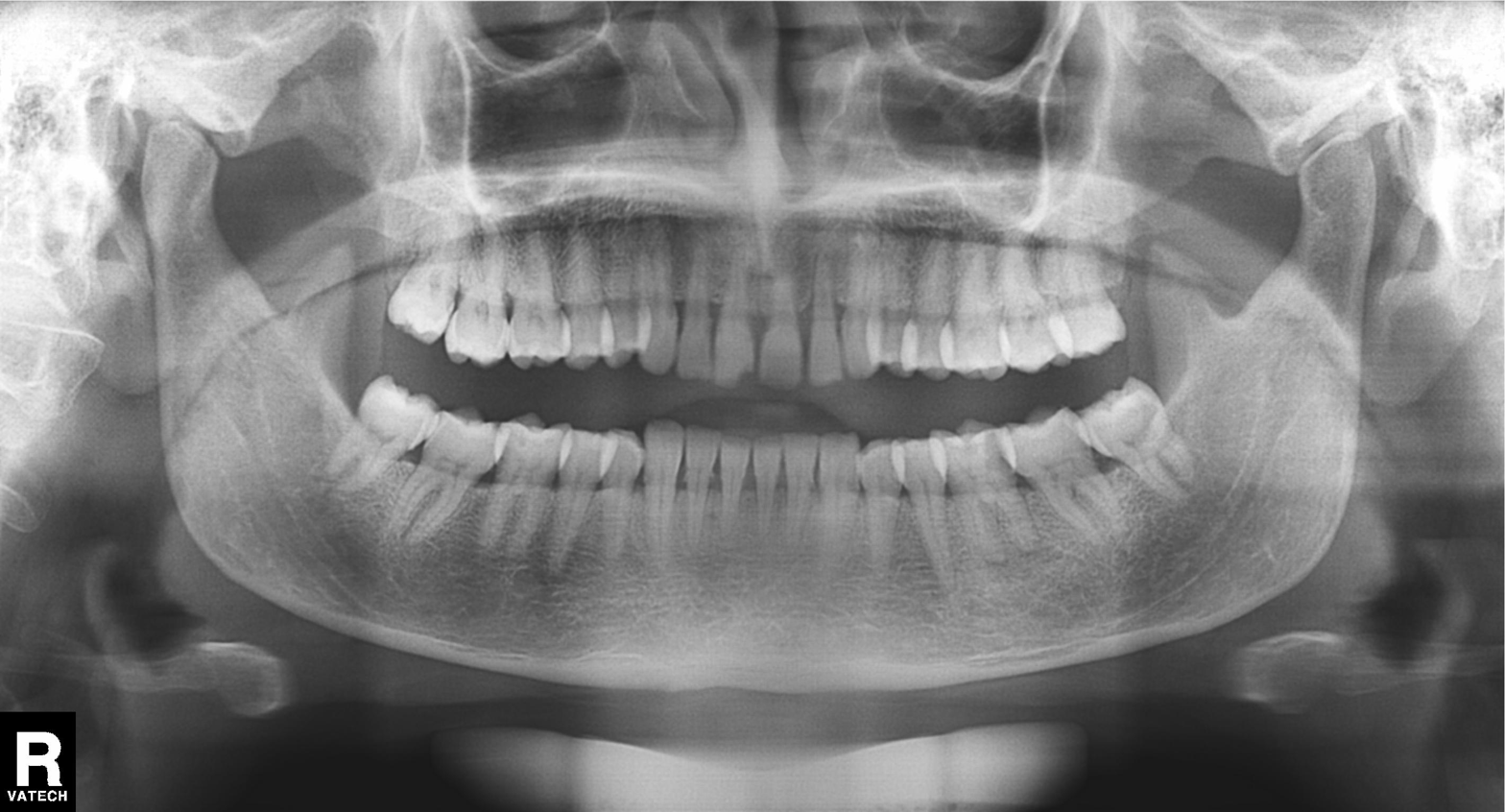
Panoramic dental radiograph (orthopantomogram).
Finding: dental caries (cavities).